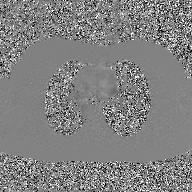
<study>
<modality>
  <type>2D phase-contrast cine MRI</type>
  <region>ascending aorta</region>
  <reconstruction>GAN super-resolution reconstruction</reconstruction>
</modality>
</study>